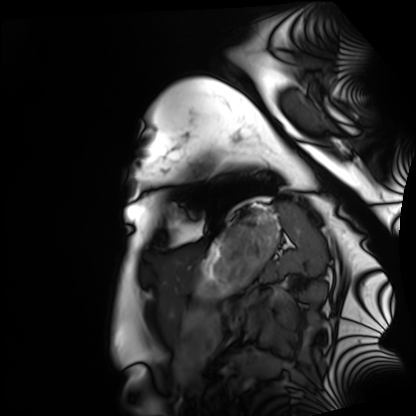
Cardiac MRI.
Subject group: healthy volunteer.